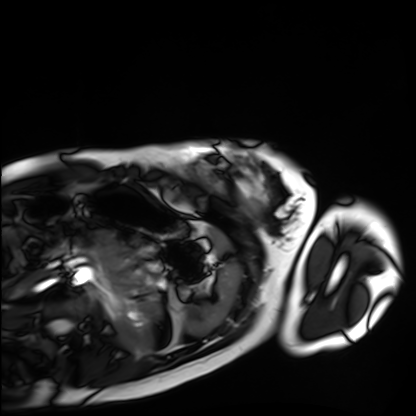
Cardiac MRI.
Subject group: healthy volunteer.